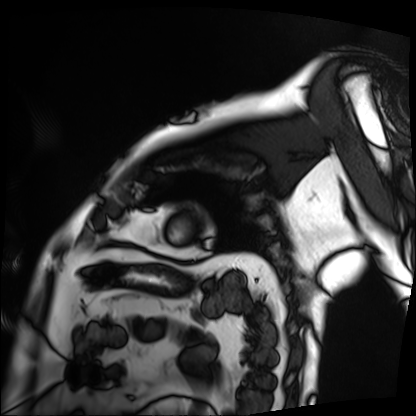
Summary:
Cardiac MRI. Subject group: patient.